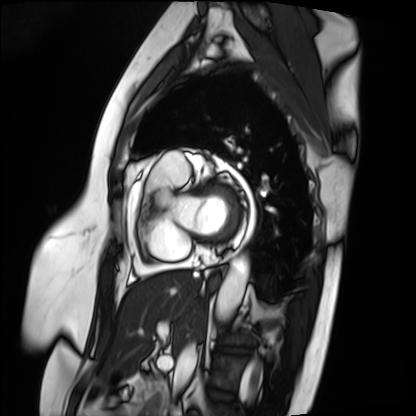
Summary:
Cardiac MRI. Subject group: patient.